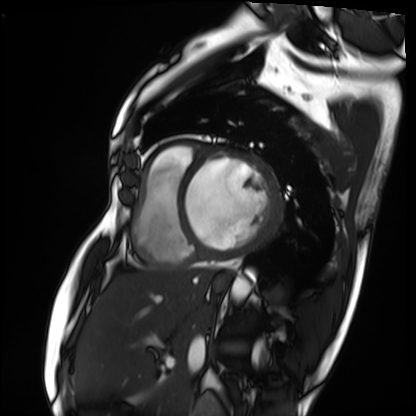
• modality · cardiac MRI
• subject group · patient